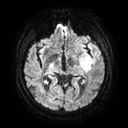
* modality · 3 Tesla brain MRI
* series · diffusion tensor imaging (medium iso)
* study · ring-enhancing brain masses